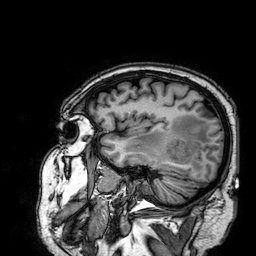
{"modality": {"type": "brain MRI", "field_strength": "3T"}, "series": "3D T1-weighted", "study_topic": "ring-enhancing brain masses"}